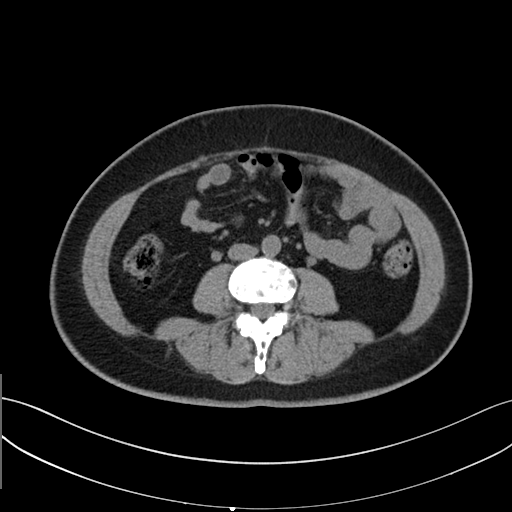
– modality · multiphase abdominal CT, liver, non-contrast phase
– patient · female, age 43
– history · prior chemotherapy